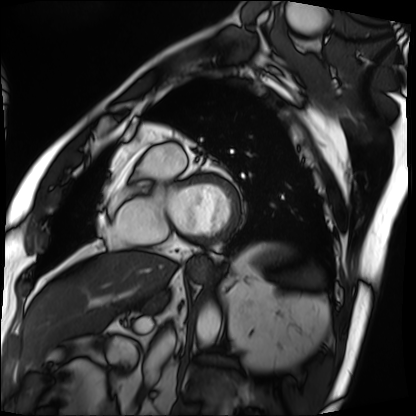
modality: cardiac MRI; subject group: patient.